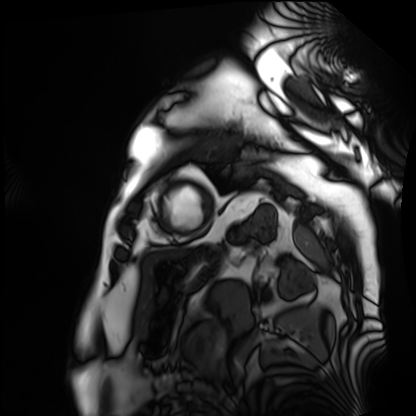
Cardiac MRI. Subject group: patient.